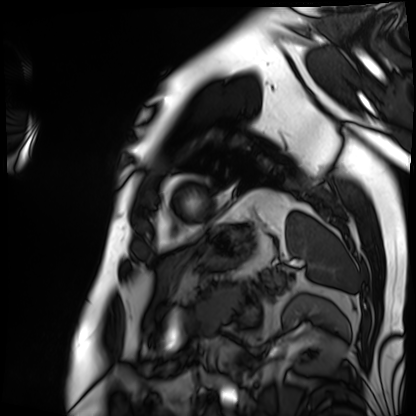
<record>
<modality>cardiac MRI</modality>
<cohort>patient</cohort>
</record>